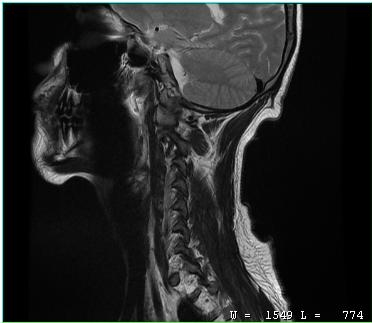
  modality:
    type: cervical spine MRI
  study_topic: cervical spondylosis